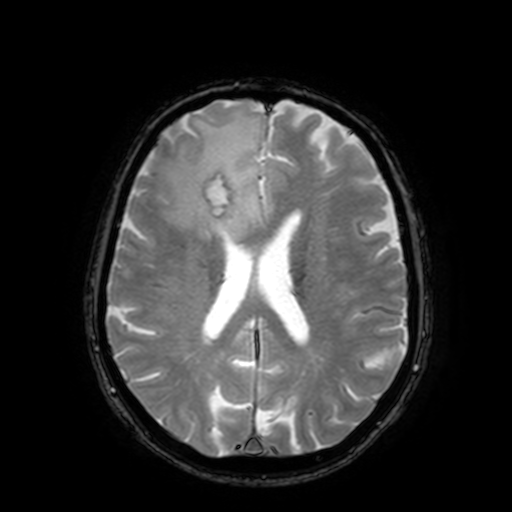
3 Tesla brain MRI. Series: T2-weighted fast field echo with SENSE. Study: ring-enhancing brain masses.